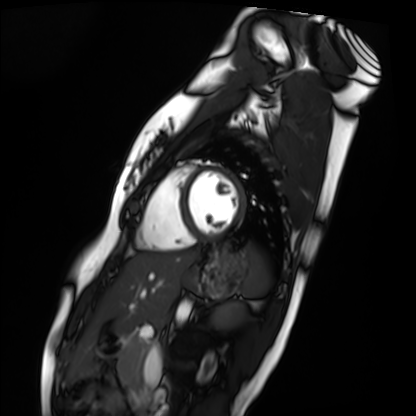
Summary:
Cardiac MRI. Subject group: healthy volunteer.